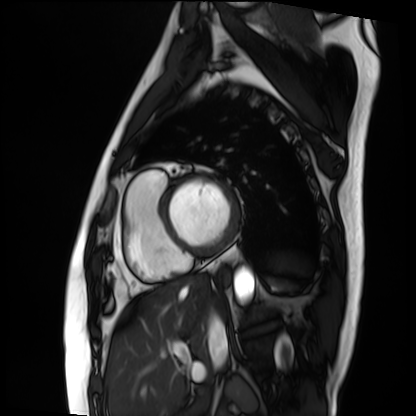
Cardiac MRI. Subject group: patient.